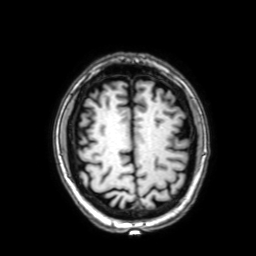
Case:
* modality — 3 Tesla brain MRI
* series — 3D T1-weighted with SENSE
* study — ring-enhancing brain masses